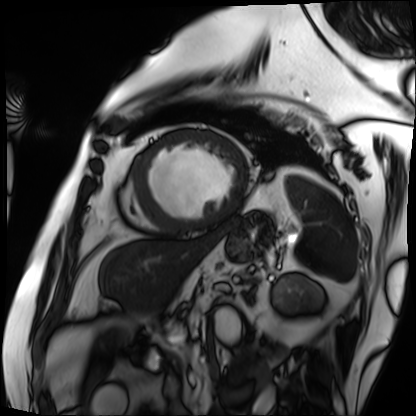
– modality — cardiac MRI
– subject group — patient